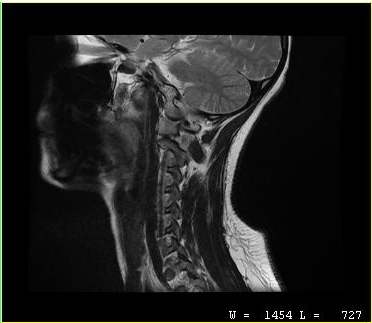
| field | value |
|---|---|
| modality | MRI of the cervical spine |
| study | cervical spondylosis |